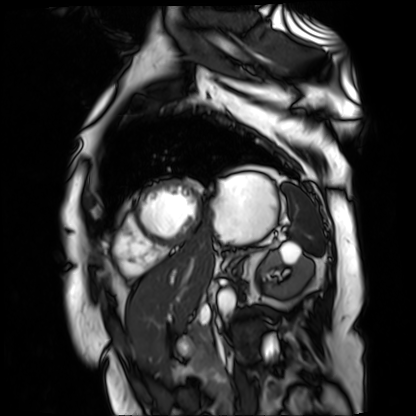
Summary: Cardiac MR image of the myocardium. Subject cohort: cardiac patient.